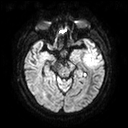
3 Tesla brain MRI. Study: ring-enhancing brain masses.